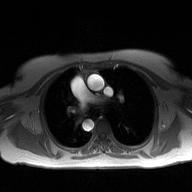
2D phase-contrast cine MRI of the ascending aorta, high-resolution GRAPPA acquisition.